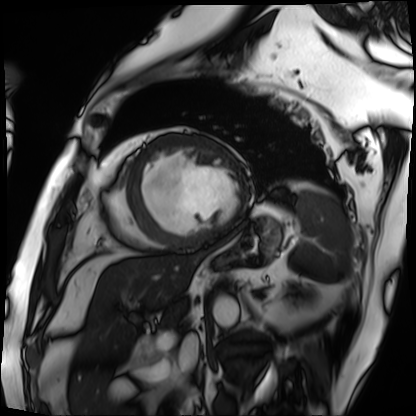
modality = cardiac MRI | subject group = patient.